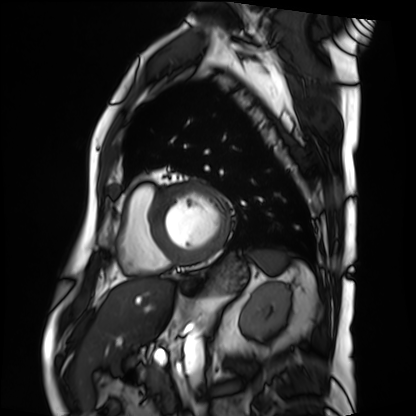
Q: What kind of scan is this?
A: Cardiac MRI.
Subject group: patient.